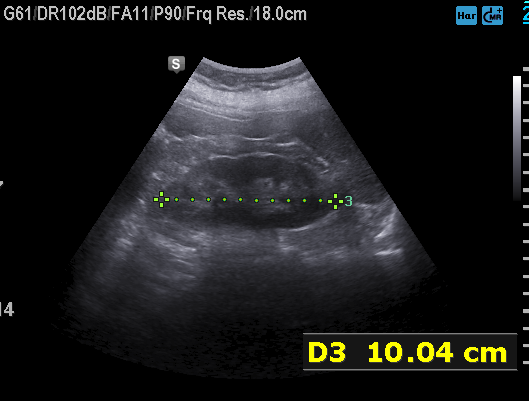
Summary: Genitourinary ultrasound.